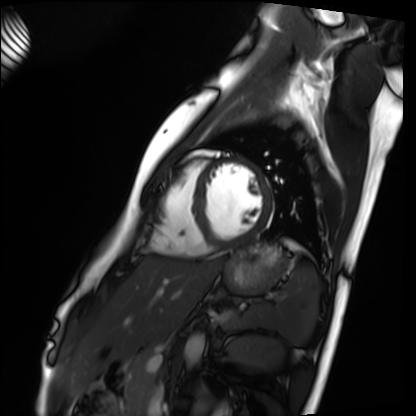
Cardiac MRI.
Subject group: healthy volunteer.